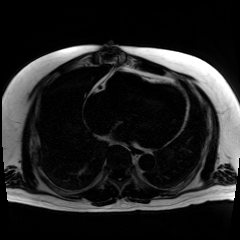
Q: What kind of scan is this?
A: Chemical-shift-encoded cardiac MRI.